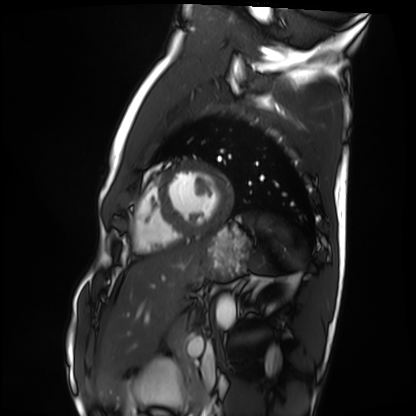
Cardiac MRI. Subject group: healthy volunteer.